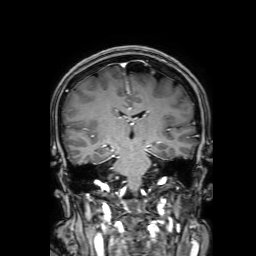
modality = 3 Tesla brain MRI
series = 3D T1-weighted with SENSE
study = ring-enhancing brain masses